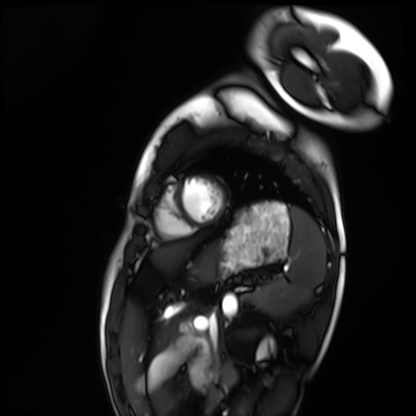
Q: What kind of scan is this?
A: Cardiac MRI.
Subject group: healthy volunteer.